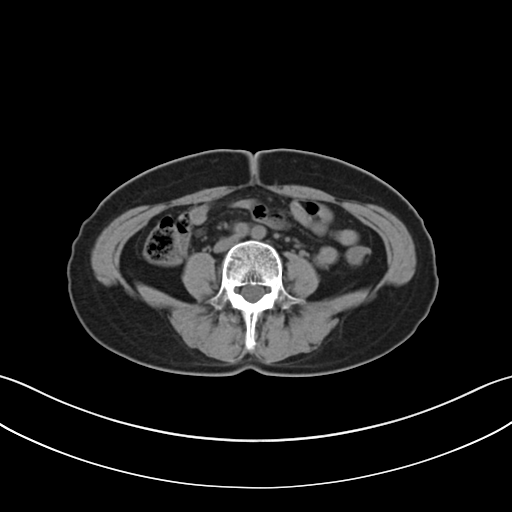
Summary:
Multiphase abdominal CT, liver, non-contrast phase. Patient: female, age 58.